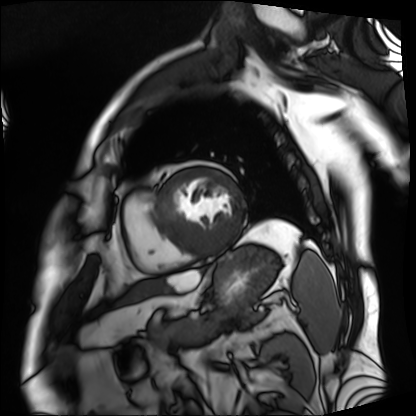
Cardiac MRI.
Subject group: patient.